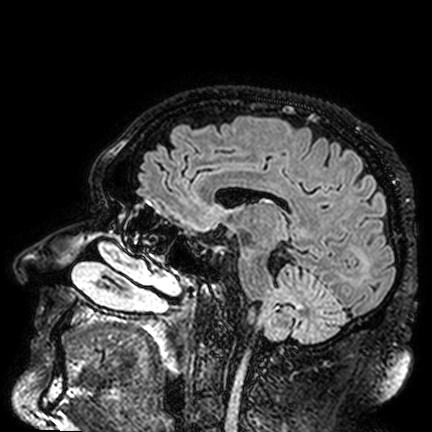
Clinical context:
3 Tesla brain MRI. Series: FLAIR VISTA. Study: ring-enhancing brain masses.